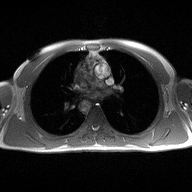
Summary:
2D phase-contrast cine MRI of the ascending aorta, high-resolution GRAPPA acquisition.